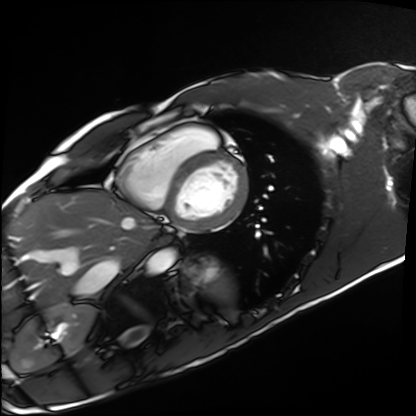
{
  "modality": "cardiac MRI",
  "cohort": "healthy volunteer"
}